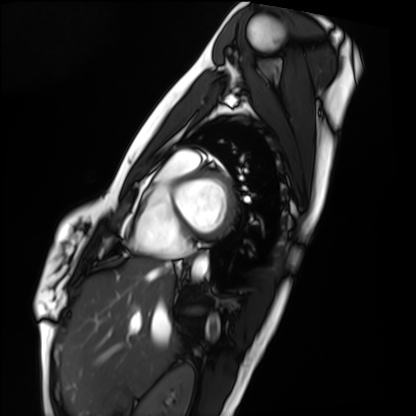
Q: What kind of scan is this?
A: Cardiac MRI.
Subject group: healthy volunteer.